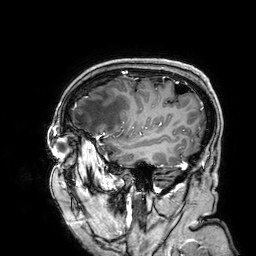
Summary:
3 Tesla brain MRI. Series: 3D T1-weighted. Study: ring-enhancing brain masses.